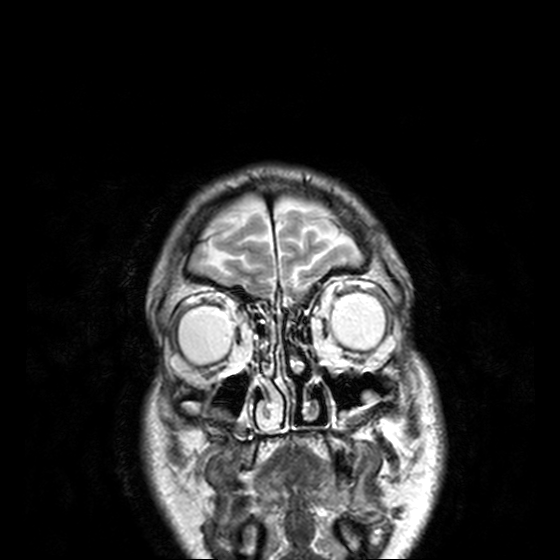
  modality:
    type: brain MRI
    field_strength: 3T
  series: T2-weighted turbo spin echo, 3 mm
  study_topic: ring-enhancing brain masses